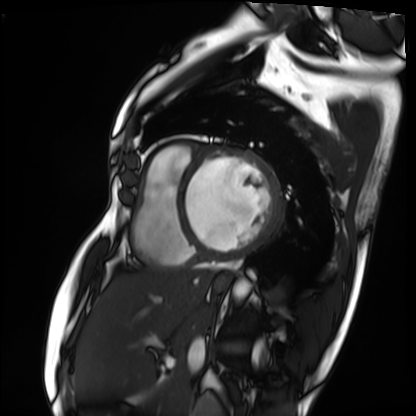
Cardiac MRI.
Subject group: patient.